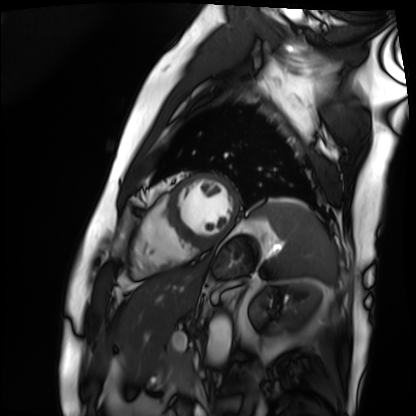
Cardiac MRI.
Subject group: patient.